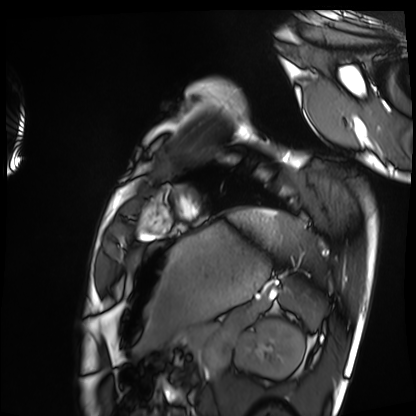
modality=cardiac MRI | subject group=healthy volunteer.